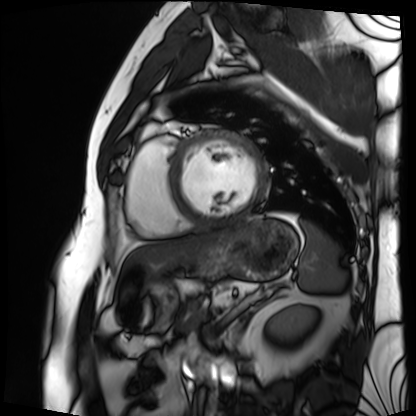
Cardiac MRI. Subject group: patient.